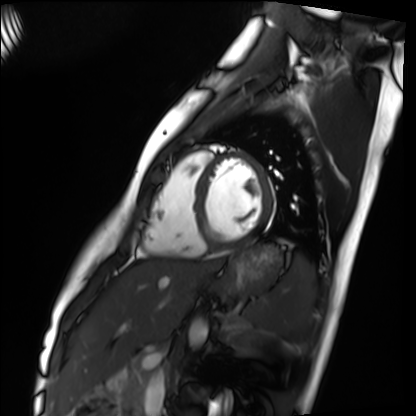
Case summary:
Cardiac MRI. Subject group: healthy volunteer.